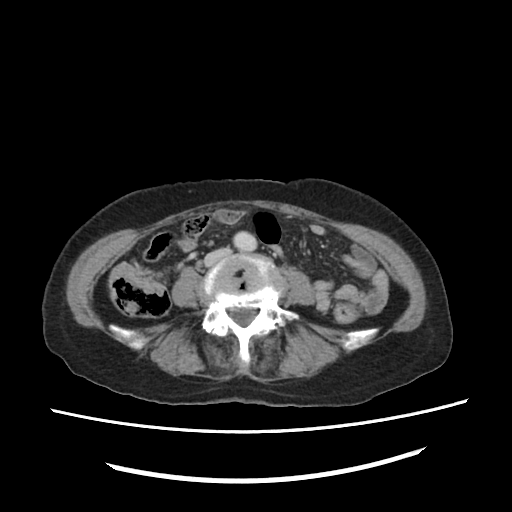
modality = multiphase abdominal CT, liver, portal venous phase; patient = female, age 70.